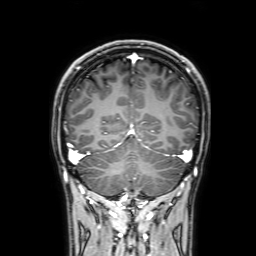
modality = 3 Tesla brain MRI | series = 3D T1-weighted with SENSE | study = ring-enhancing brain masses.